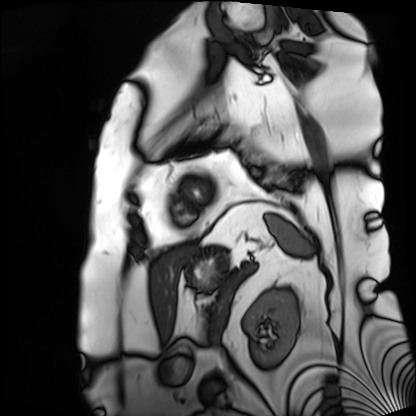
Q: What kind of scan is this?
A: Cardiac MRI.
Subject group: patient.